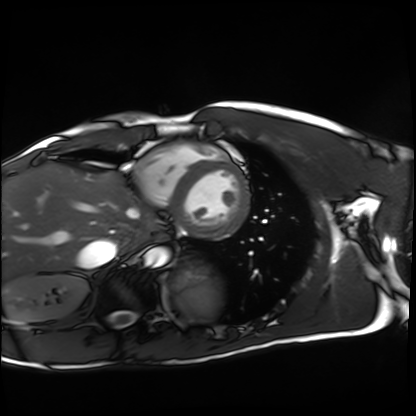
* modality: cardiac MRI
* subject group: healthy volunteer